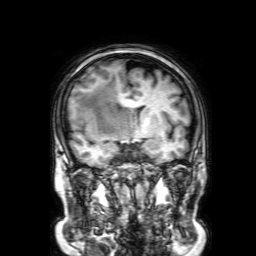
modality = 3 Tesla brain MRI
study = ring-enhancing brain masses